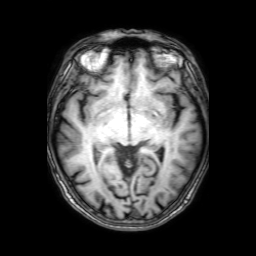
{
  "modality": {
    "type": "brain MRI",
    "field_strength": "3T"
  },
  "series": "3D T1-weighted with SENSE",
  "study_topic": "ring-enhancing brain masses"
}